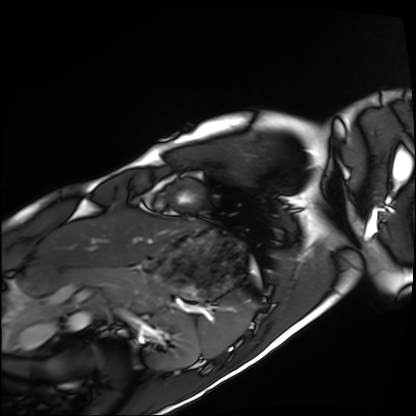
modality = cardiac MRI; subject group = healthy volunteer.